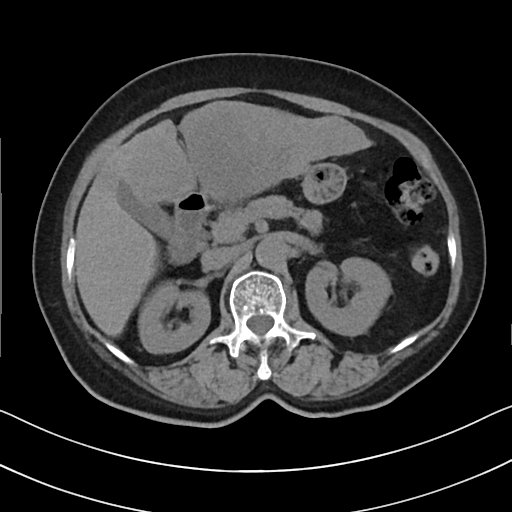
Multiphase abdominal CT, liver, non-contrast phase. Patient: female, age 67.